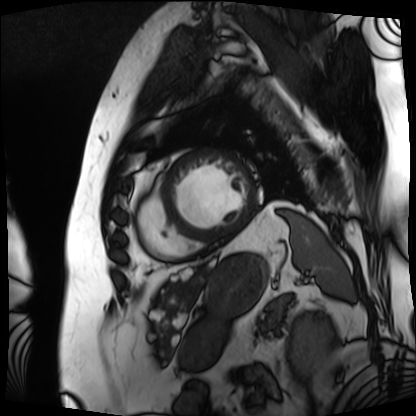
modality = cardiac MRI, subject group = patient.